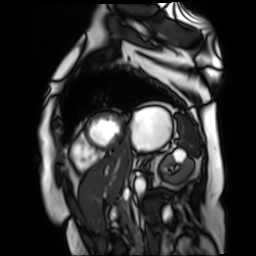
{
  "modality": "cardiac MR image of the myocardium",
  "cohort": "cardiac patient"
}